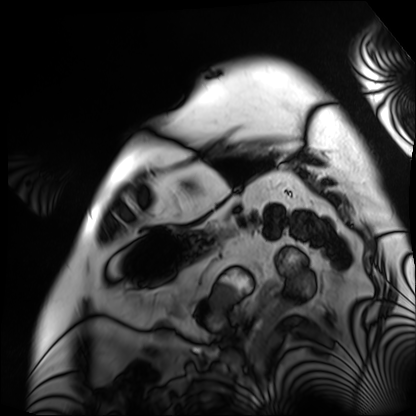
Cardiac MRI. Subject group: patient.